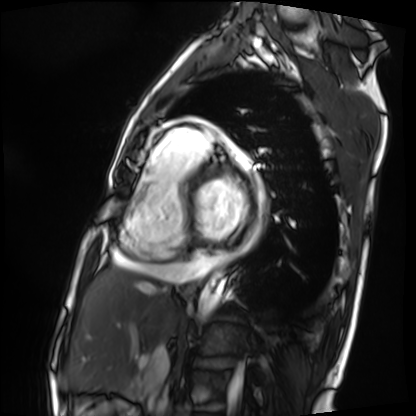
Cardiac MRI. Subject group: patient.